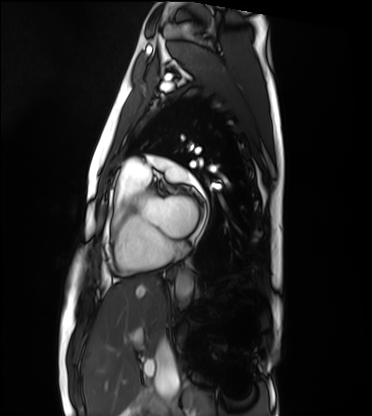
Case:
- modality: cardiac MRI
- subject group: healthy volunteer